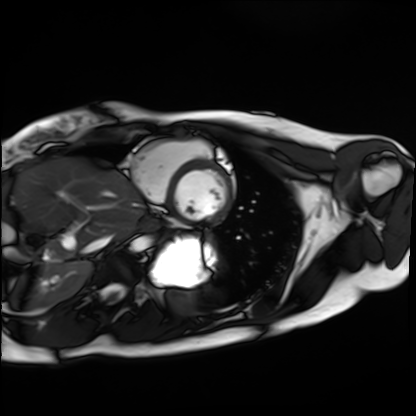
modality: cardiac MRI
subject group: healthy volunteer